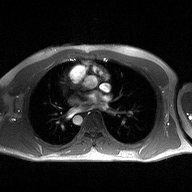
Summary:
2D phase-contrast cine MRI of the ascending aorta, high-resolution GRAPPA acquisition.